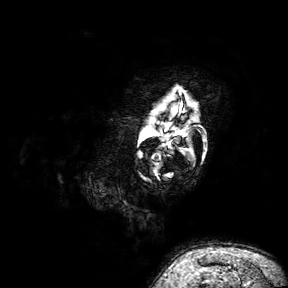
3 Tesla brain MRI. Series: 3D T1-weighted turbo field echo with SENSE. Study: ring-enhancing brain masses.